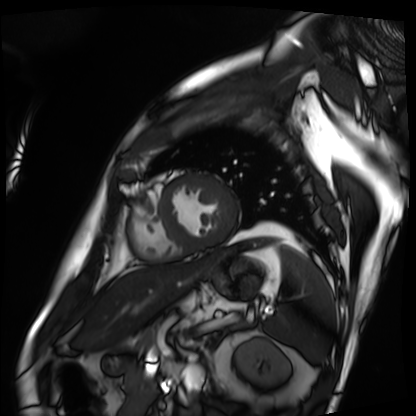
* modality — cardiac MRI
* subject group — patient